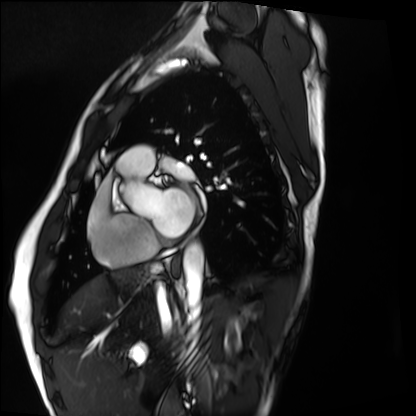
Summary: Cardiac MRI. Subject group: healthy volunteer.